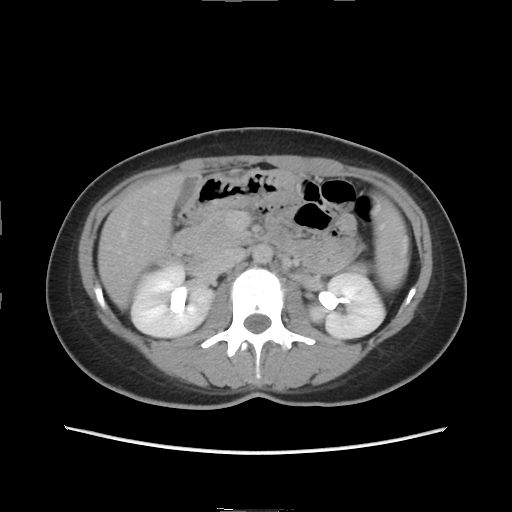
modality: multiphase abdominal CT, liver, delayed phase; patient: female, age 33.